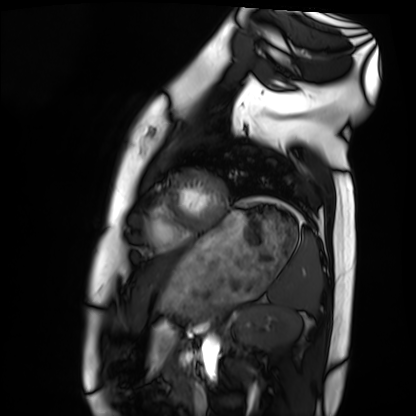
<record>
<modality>cardiac MRI</modality>
<cohort>healthy volunteer</cohort>
</record>